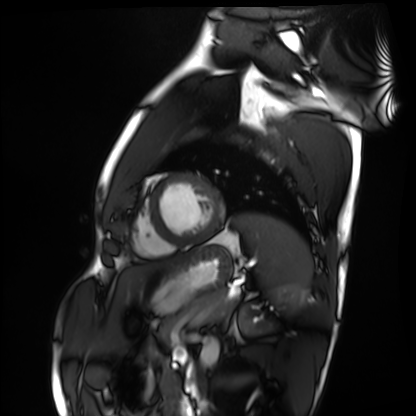
<scan>
  <modality>cardiac MRI</modality>
  <cohort>healthy volunteer</cohort>
</scan>